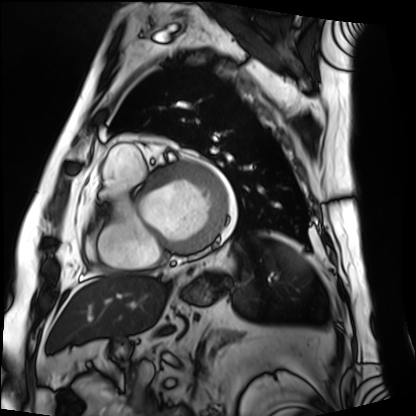
<record>
  <modality>cardiac MRI</modality>
  <cohort>patient</cohort>
</record>